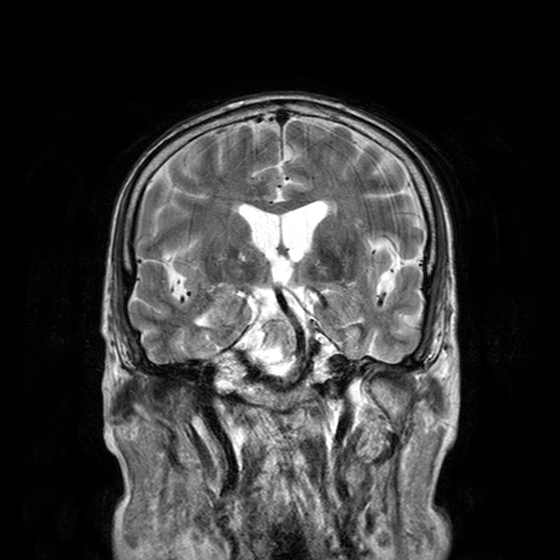
3 Tesla brain MRI. Series: T2-weighted turbo spin echo with CLEAR. Study: ring-enhancing brain masses.